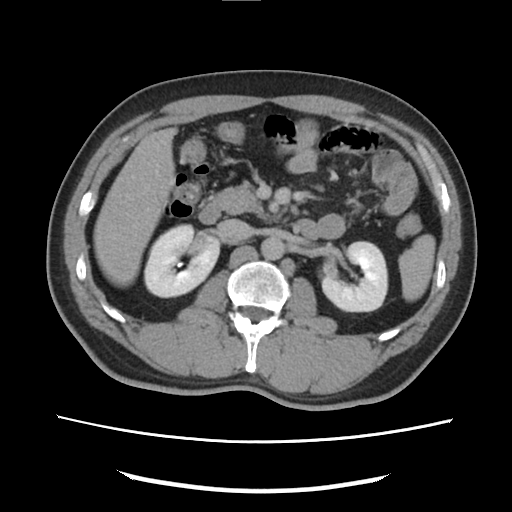
Case:
* modality · multiphase abdominal CT, liver, delayed phase